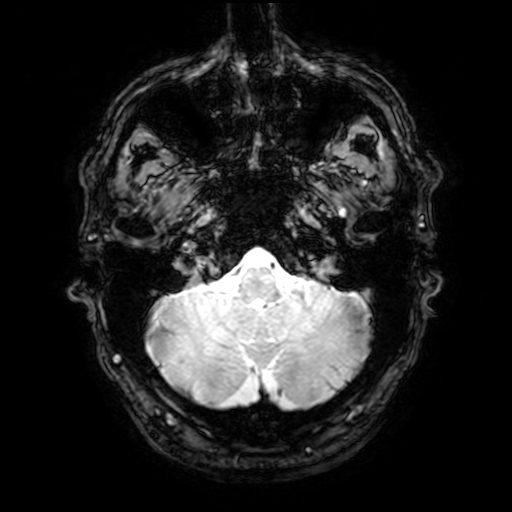
Q: What kind of scan is this?
A: 3 Tesla brain MRI.
Q: Series?
A: T2-weighted fast field echo with SENSE.
Study: ring-enhancing brain masses.